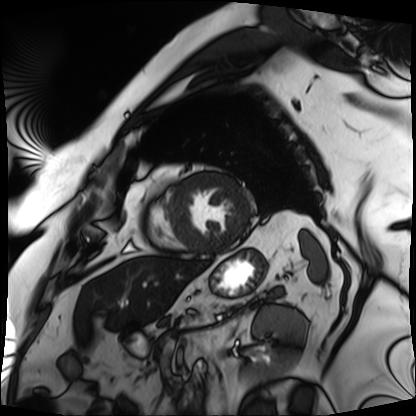
modality: cardiac MRI; subject group: patient.